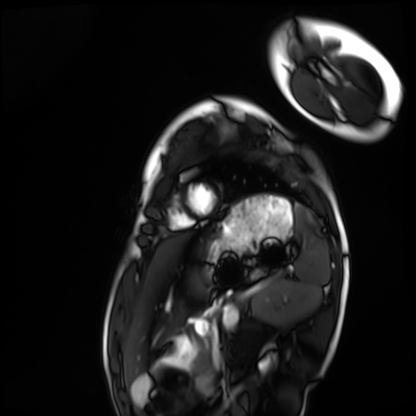
modality: cardiac MRI
cohort: healthy volunteer